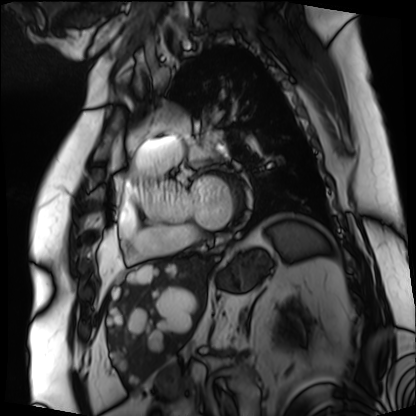
Cardiac MRI. Subject group: patient.